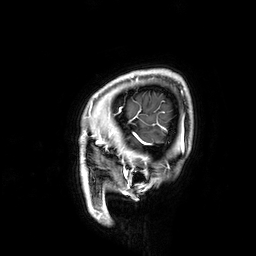
3 Tesla brain MRI. Series: 3D T1-weighted. Study: ring-enhancing brain masses.